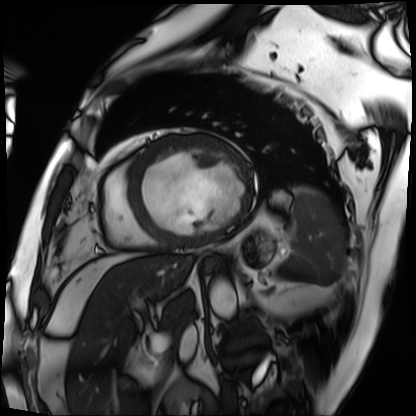
| field | value |
|---|---|
| modality | cardiac MRI |
| subject group | patient |